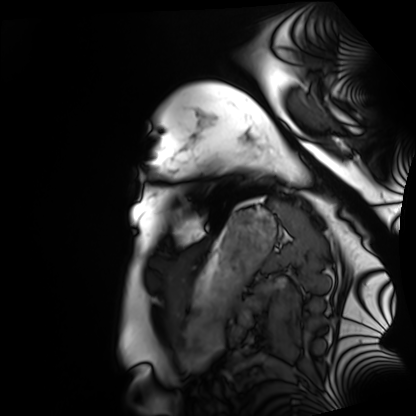
Cardiac MRI. Subject group: healthy volunteer.